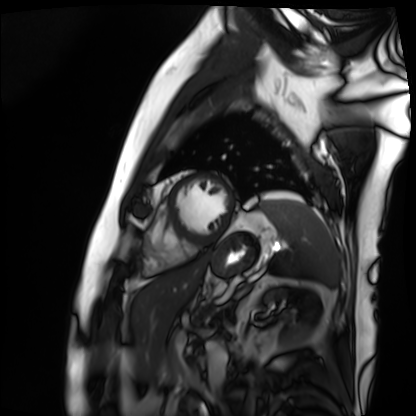
modality = cardiac MRI | subject group = patient.